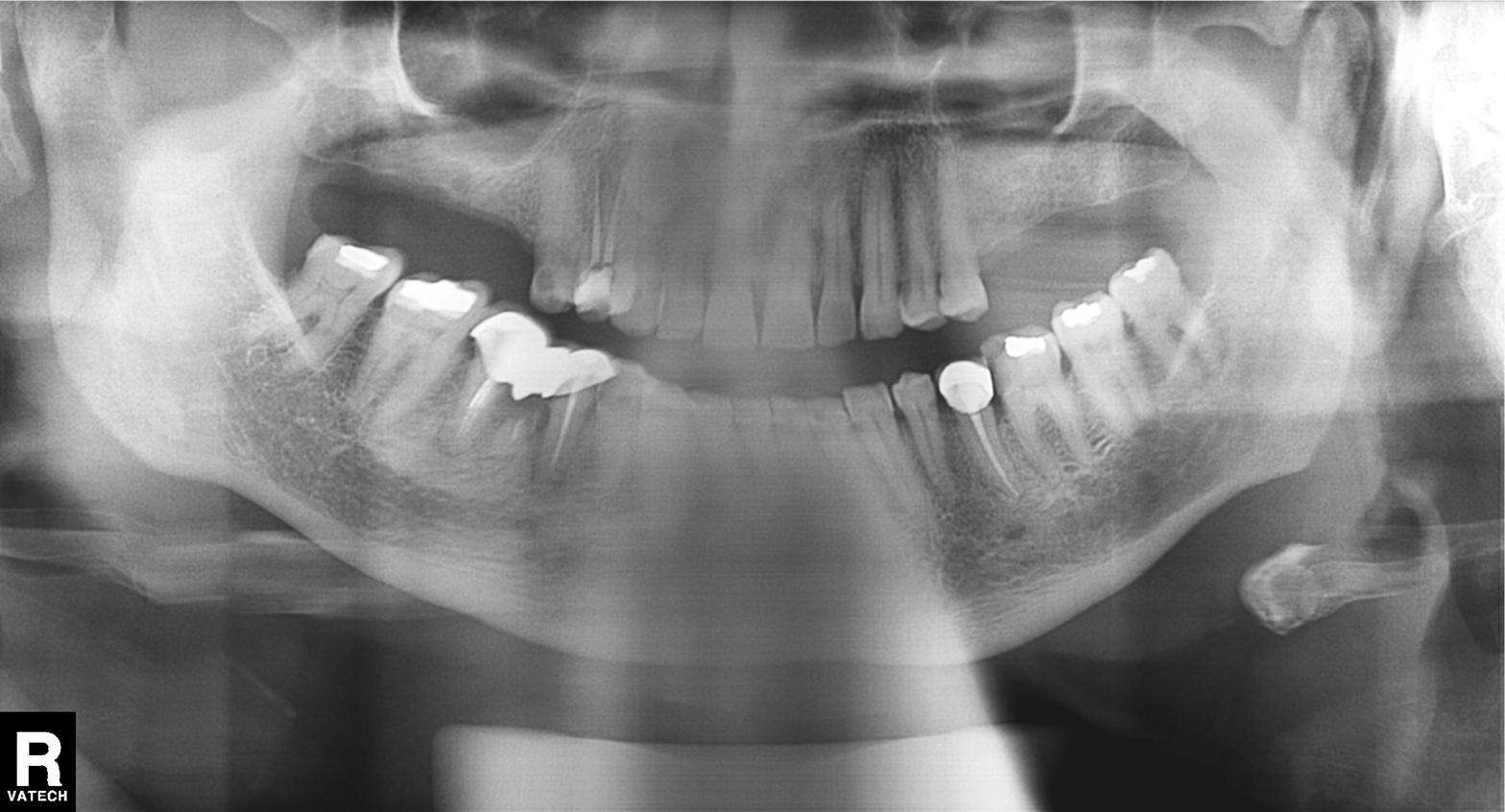
Case summary:
Panoramic dental radiograph (orthopantomogram).
Impression:
Alveolar bone loss.